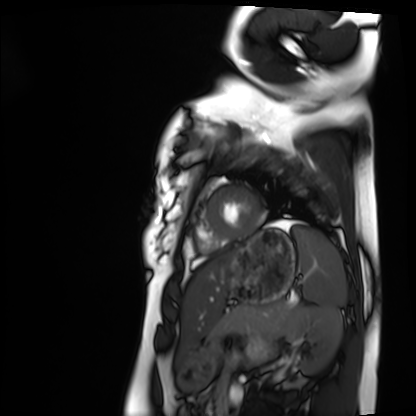
Clinical context:
Cardiac MRI. Subject group: healthy volunteer.